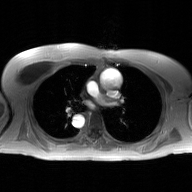
Summary:
2D phase-contrast cine MRI of the ascending aorta, GAN super-resolution reconstruction.